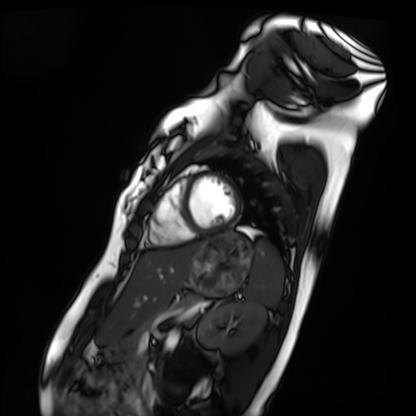
| field | value |
|---|---|
| modality | cardiac MRI |
| subject group | healthy volunteer |